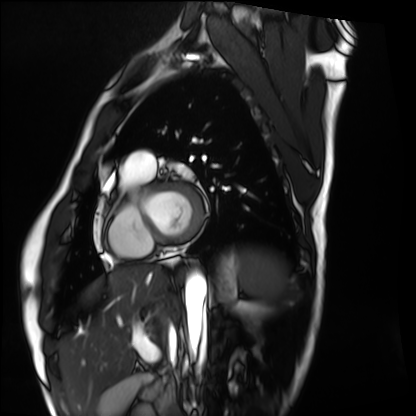
Cardiac MRI.
Subject group: healthy volunteer.